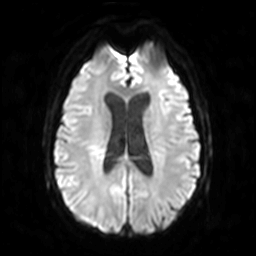
Q: What kind of scan is this?
A: 3 Tesla brain MRI.
Q: Series?
A: Diffusion-weighted imaging.
Study: ring-enhancing brain masses.